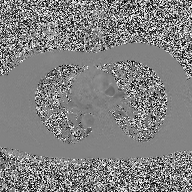
– modality: 2D phase-contrast cine MRI of the ascending aorta